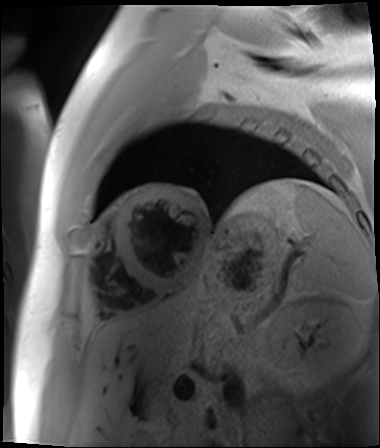
Q: What kind of scan is this?
A: Cardiac MR image of the myocardium.
Subject cohort: cardiac patient.